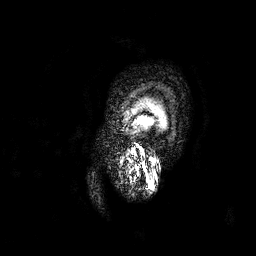
3 Tesla brain MRI.
Series: 3D T1-weighted.
Study: ring-enhancing brain masses.